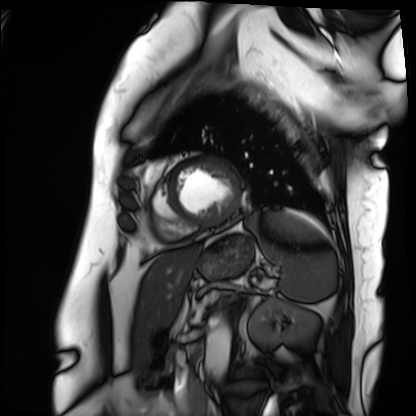
modality=cardiac MRI
subject group=patient